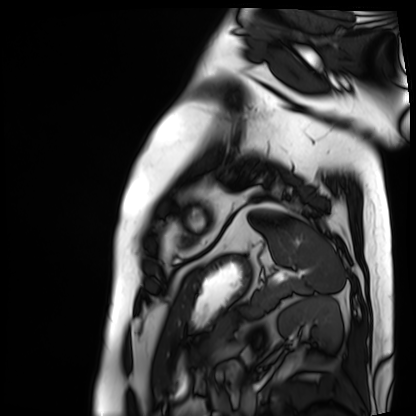
modality: cardiac MRI, subject group: patient.